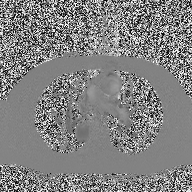
* modality — 2D phase-contrast cine MRI of the ascending aorta